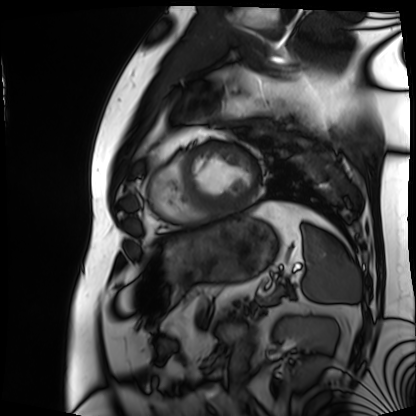
modality — cardiac MRI
subject group — patient